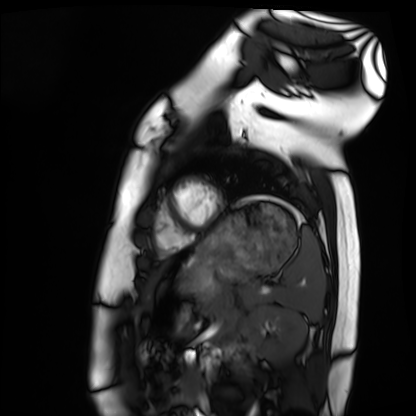
Q: What kind of scan is this?
A: Cardiac MRI.
Subject group: healthy volunteer.